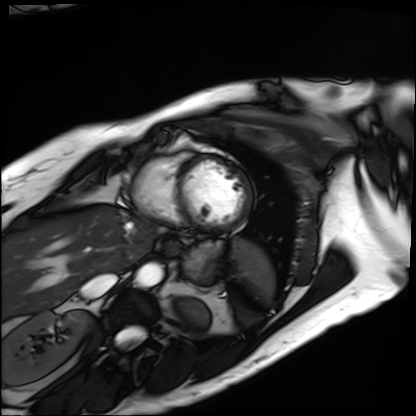
  modality: cardiac MRI
  cohort: patient